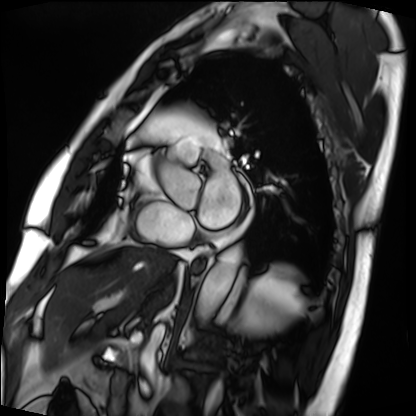
Case:
• modality — cardiac MRI
• subject group — patient